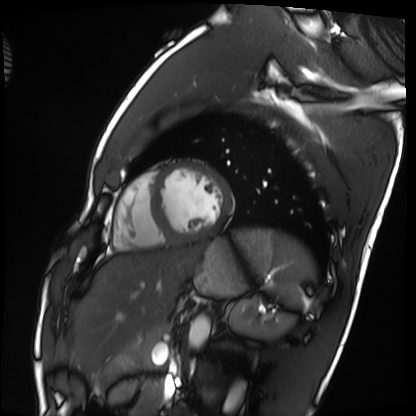
Case summary: Cardiac MRI. Subject group: healthy volunteer.